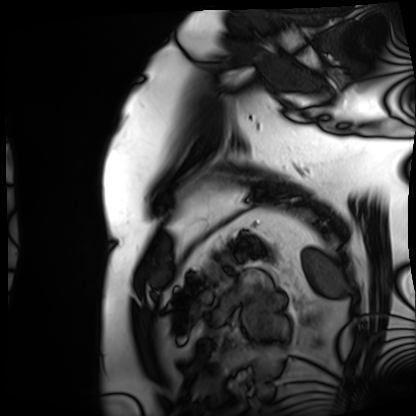
modality — cardiac MRI | subject group — patient.